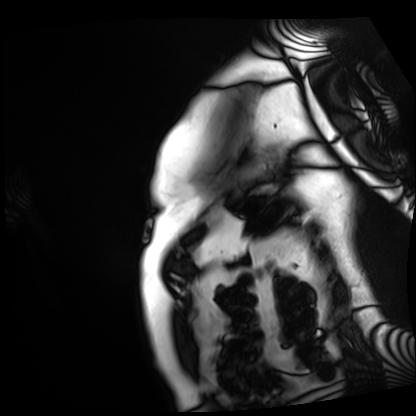
Case:
– modality · cardiac MRI
– subject group · patient